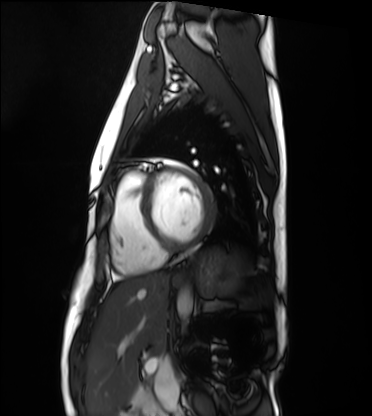
Case summary: Cardiac MRI. Subject group: healthy volunteer.